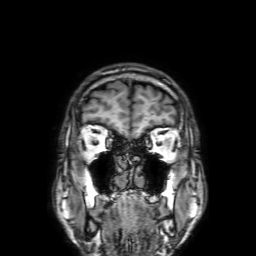
Case summary:
3 Tesla brain MRI. Series: 3D T1-weighted with SENSE. Study: ring-enhancing brain masses.